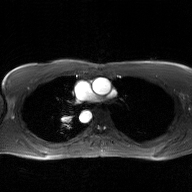
2D phase-contrast cine MRI of the ascending aorta, GAN super-resolution reconstruction.